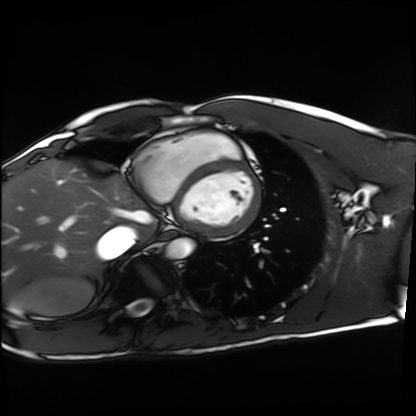
modality: cardiac MRI
cohort: healthy volunteer